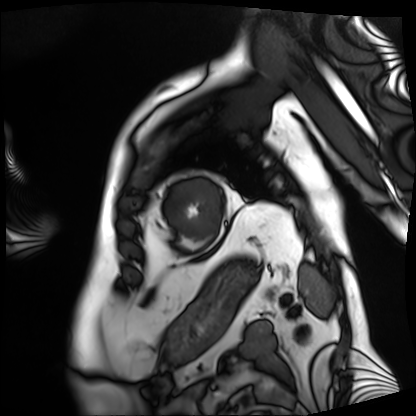
{"modality": "cardiac MRI", "cohort": "patient"}